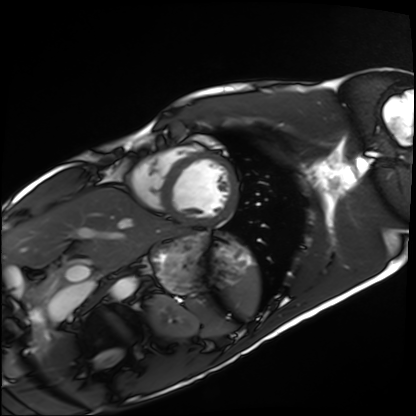
| field | value |
|---|---|
| modality | cardiac MRI |
| subject group | healthy volunteer |